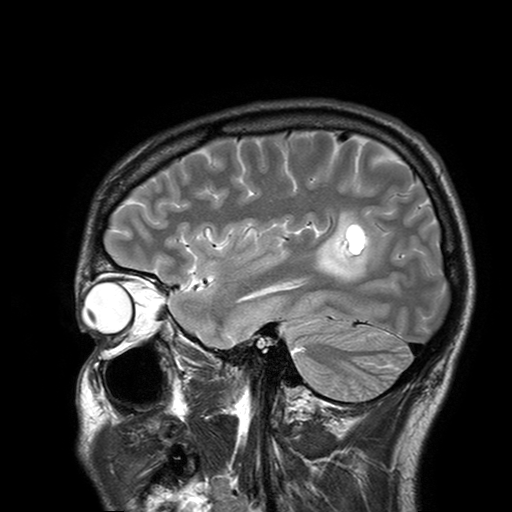
3 Tesla brain MRI. Series: T2-weighted turbo spin echo with SENSE. Study: ring-enhancing brain masses.